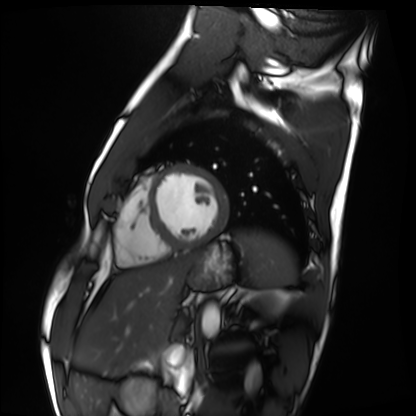
modality = cardiac MRI, subject group = healthy volunteer.